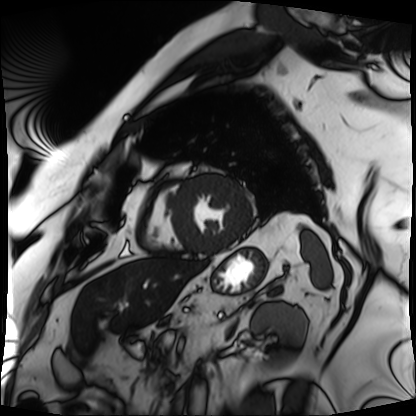
<study>
  <modality>cardiac MRI</modality>
  <cohort>patient</cohort>
</study>